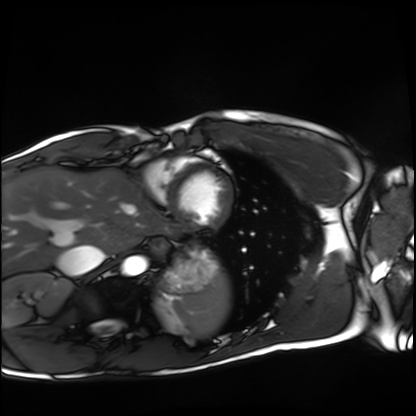
modality: cardiac MRI; subject group: healthy volunteer.